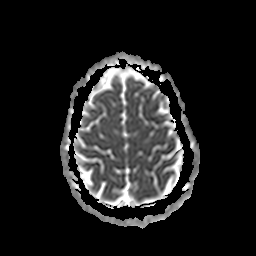
Q: What kind of scan is this?
A: 3 Tesla brain MRI.
Q: Series?
A: Apparent diffusion coefficient (ADC) map.
Study: ring-enhancing brain masses.